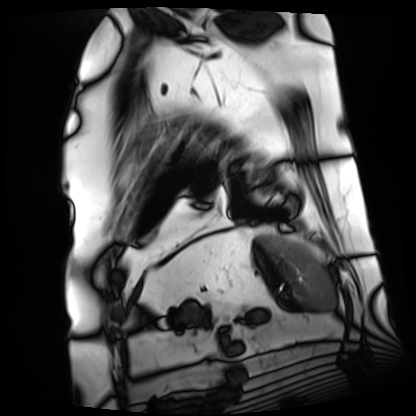
- modality — cardiac MRI
- subject group — patient